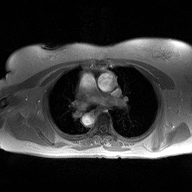
modality = 2D phase-contrast cine MRI of the ascending aorta.